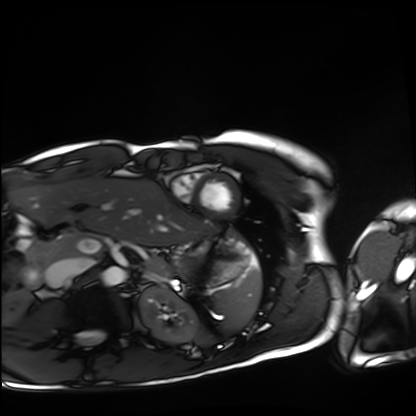
{
  "modality": "cardiac MRI",
  "cohort": "healthy volunteer"
}